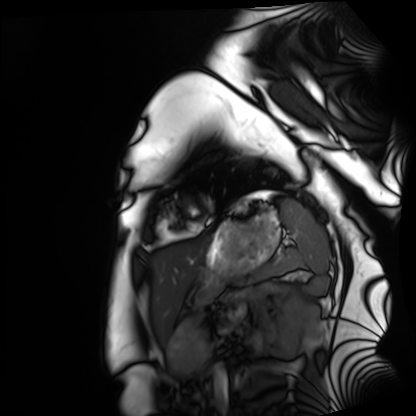
modality = cardiac MRI; subject group = healthy volunteer.